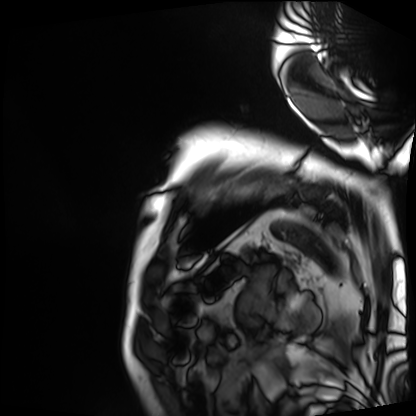
• modality: cardiac MRI
• subject group: patient